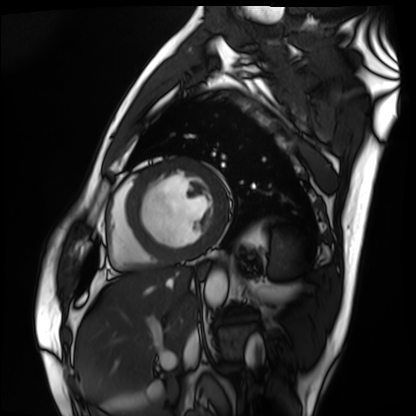
Cardiac MRI. Subject group: patient.